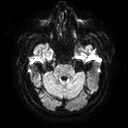
* modality · 3 Tesla brain MRI
* series · diffusion tensor imaging (medium iso)
* study · ring-enhancing brain masses